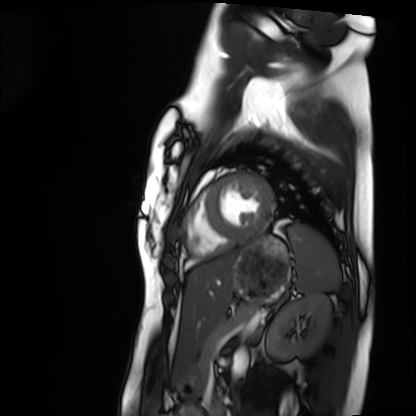
Cardiac MRI.
Subject group: healthy volunteer.